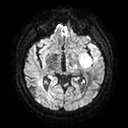
3 Tesla brain MRI. Series: diffusion tensor imaging (medium iso). Study: ring-enhancing brain masses.